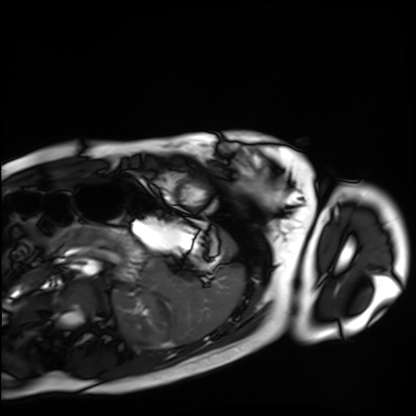
Clinical context:
Cardiac MRI. Subject group: healthy volunteer.